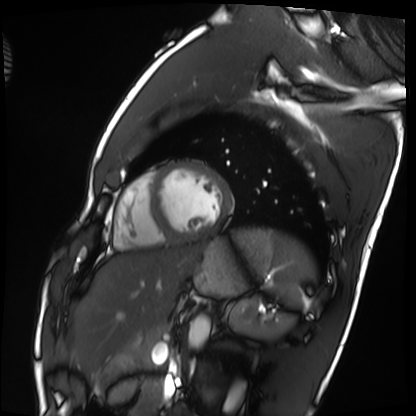
Case:
• modality: cardiac MRI
• subject group: healthy volunteer